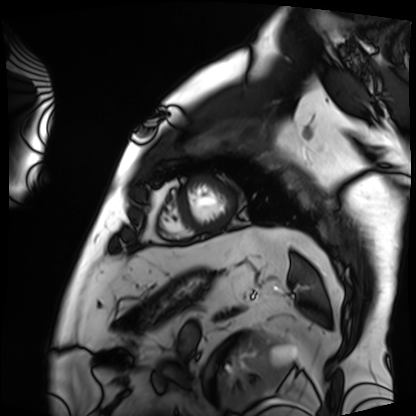
modality = cardiac MRI; subject group = patient.